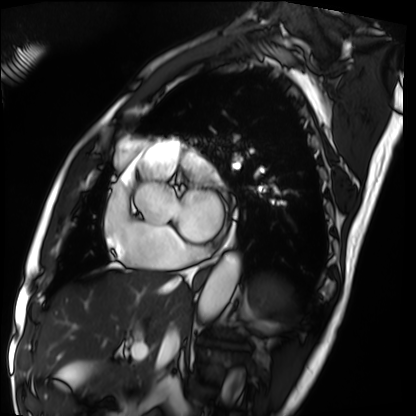
Cardiac MRI. Subject group: patient.